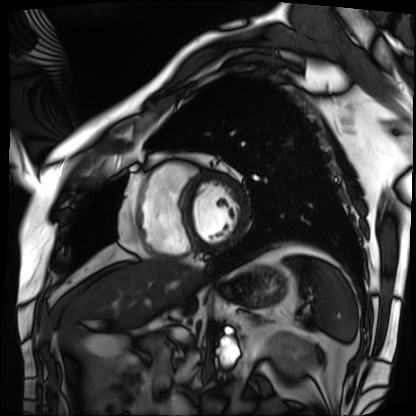
Cardiac MRI. Subject group: patient.